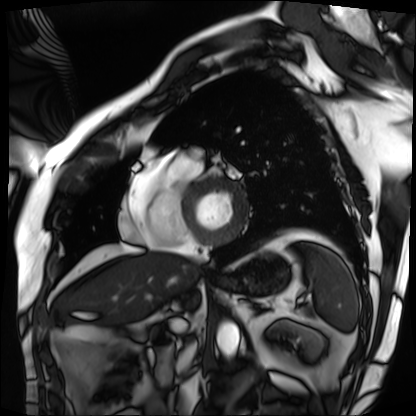
modality: cardiac MRI | subject group: patient.